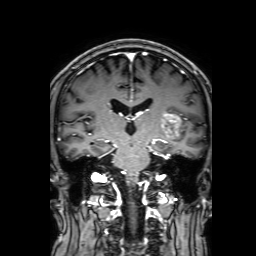
- modality: 3 Tesla brain MRI
- series: 3D T1-weighted with SENSE
- study: ring-enhancing brain masses